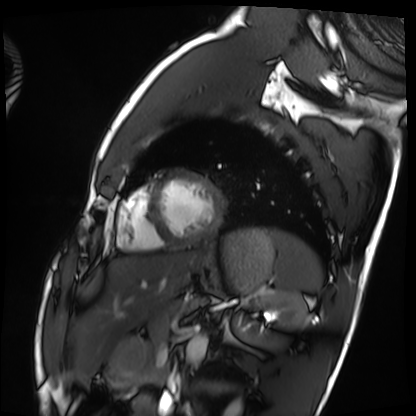
modality: cardiac MRI; subject group: healthy volunteer.